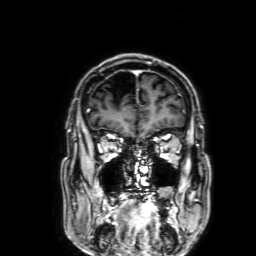
Case summary:
3 Tesla brain MRI. Study: ring-enhancing brain masses.